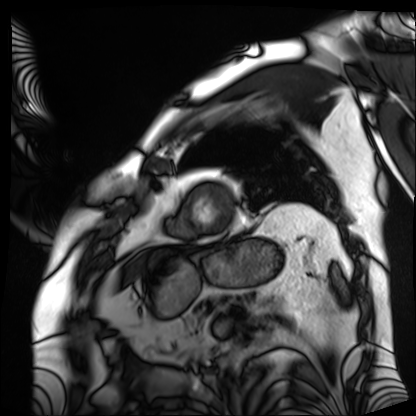
Cardiac MRI. Subject group: patient.